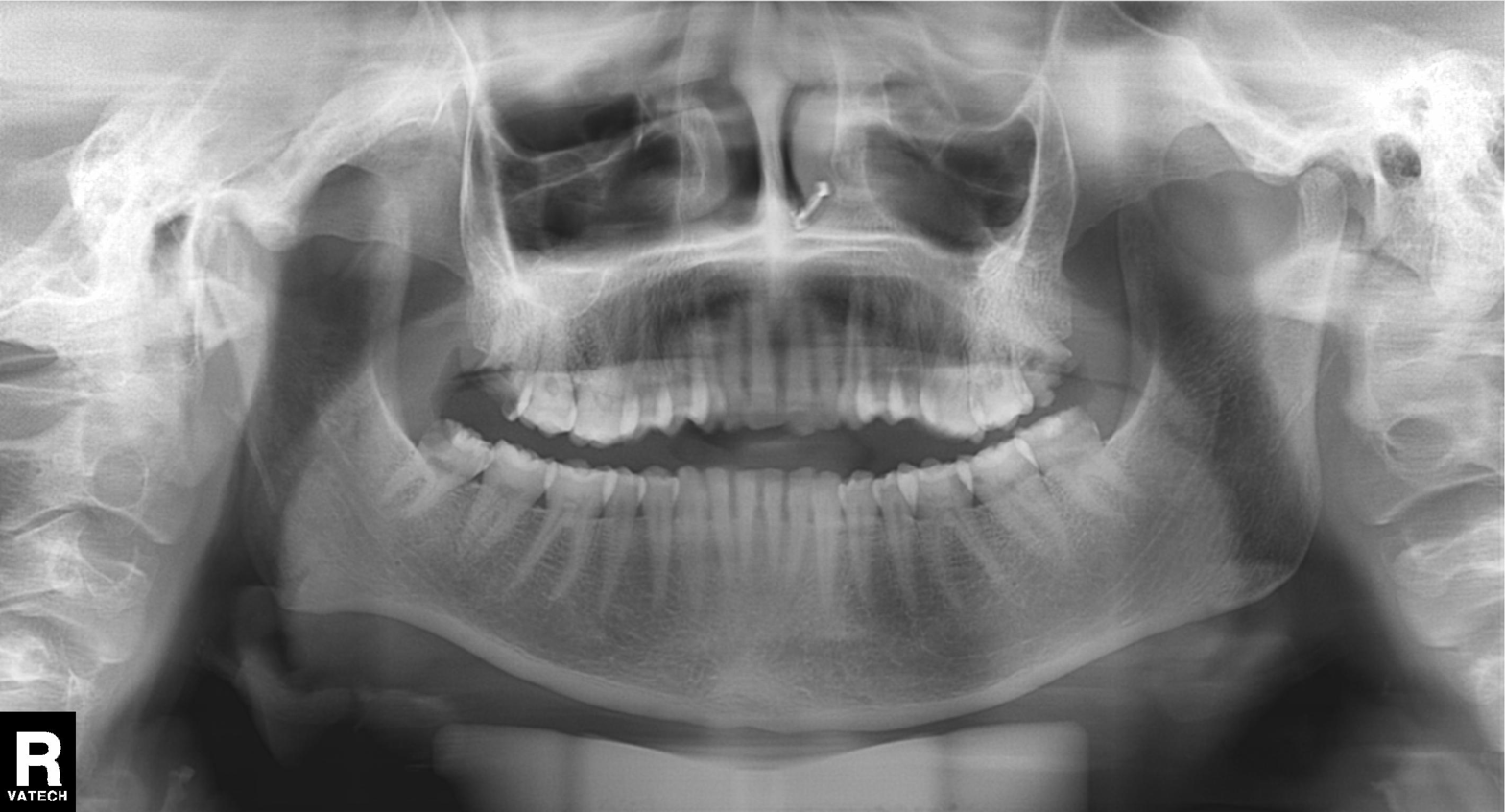
Panoramic dental radiograph (orthopantomogram).
Finding: dental caries (cavities).